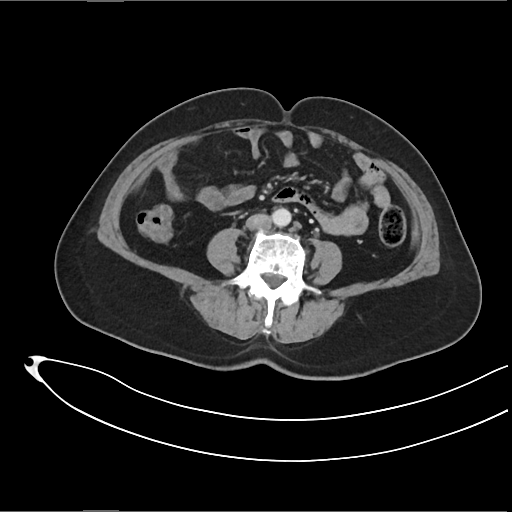
Multiphase abdominal CT, liver, arterial phase.
Patient: female, age 61.